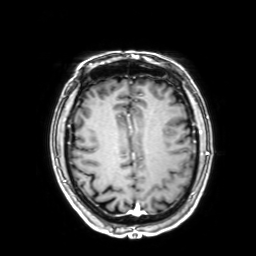
3 Tesla brain MRI. Series: 3D T1-weighted with SENSE. Study: ring-enhancing brain masses.